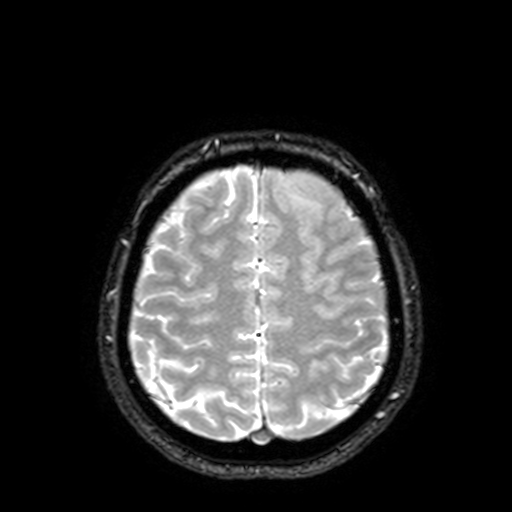
Q: What kind of scan is this?
A: 3 Tesla brain MRI.
Q: Series?
A: T2-weighted fast field echo with SENSE.
Study: ring-enhancing brain masses.